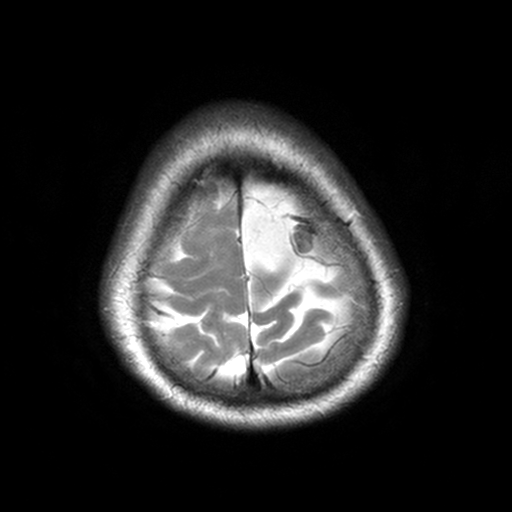
3 Tesla brain MRI.
Series: T2-weighted turbo spin echo, 3 mm.
Study: ring-enhancing brain masses.